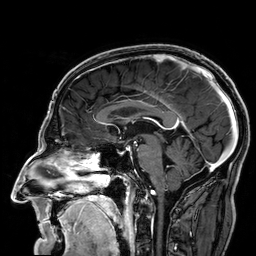
Q: What kind of scan is this?
A: 3 Tesla brain MRI.
Q: Series?
A: 3D T1-weighted.
Study: ring-enhancing brain masses.